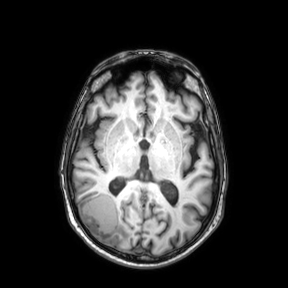
Case:
• modality · 3 Tesla brain MRI
• series · axial
• study · ring-enhancing brain masses